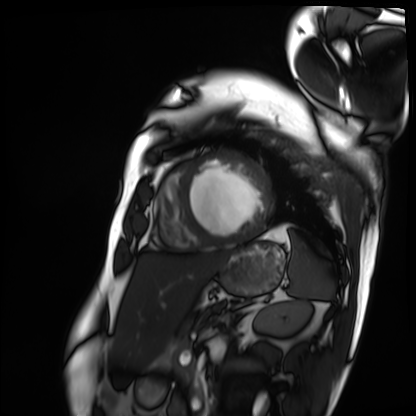
- modality — cardiac MRI
- subject group — patient